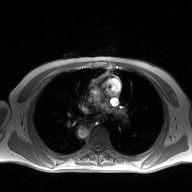
modality: 2D phase-contrast cine MRI of the ascending aorta.